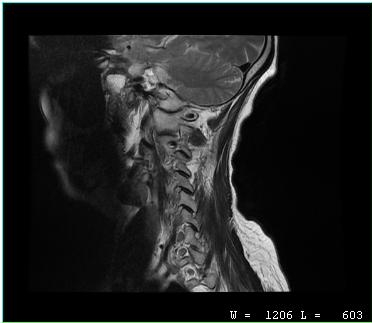
{"modality": {"type": "cervical spine MRI"}, "study_topic": "cervical spondylosis"}